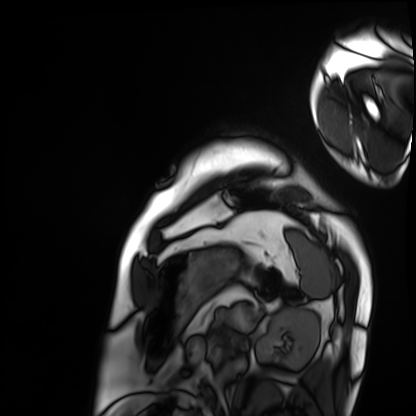
modality: cardiac MRI
cohort: patient